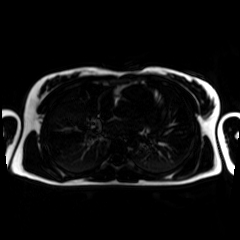
Chemical-shift-encoded cardiac MRI.